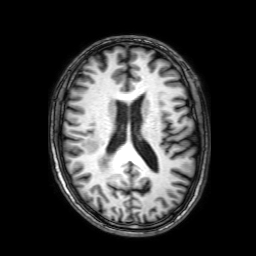
| field | value |
|---|---|
| modality | 3 Tesla brain MRI |
| series | 3D T1-weighted with SENSE |
| study | ring-enhancing brain masses |